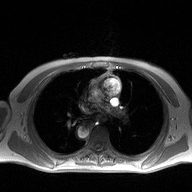
2D phase-contrast cine MRI of the ascending aorta, high-resolution GRAPPA acquisition.